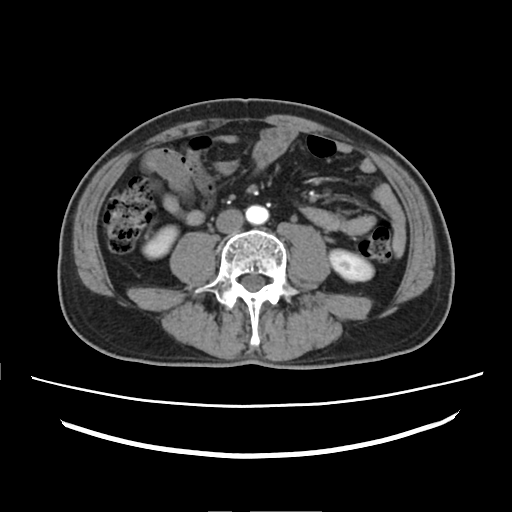
modality = multiphase abdominal CT, liver, arterial phase | patient = male, age 52 | history = prior chemotherapy.